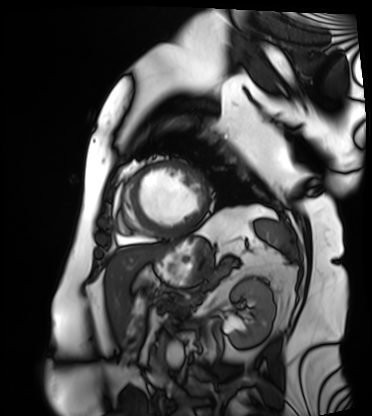
Cardiac MRI.
Subject group: patient.